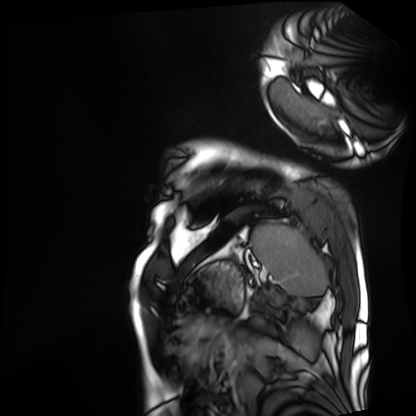
Cardiac MRI. Subject group: patient.